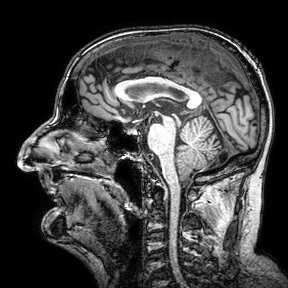
Q: What kind of scan is this?
A: 3 Tesla brain MRI.
Q: Series?
A: 3D T1-weighted turbo field echo with SENSE.
Study: ring-enhancing brain masses.